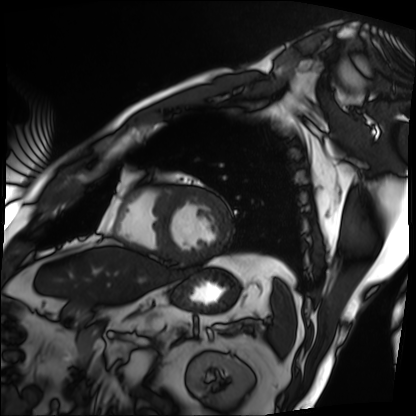
Summary: Cardiac MRI. Subject group: patient.